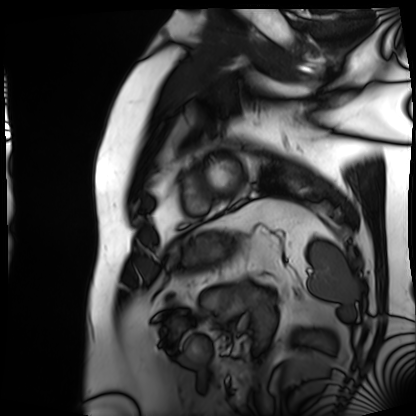
- modality · cardiac MRI
- subject group · patient